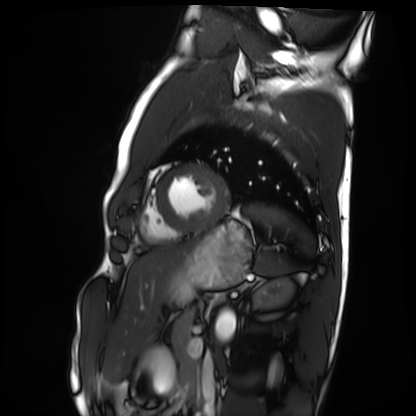
<case>
  <modality>cardiac MRI</modality>
  <cohort>healthy volunteer</cohort>
</case>